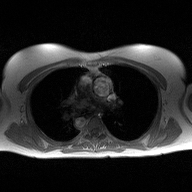
– modality — 2D phase-contrast cine MRI of the ascending aorta